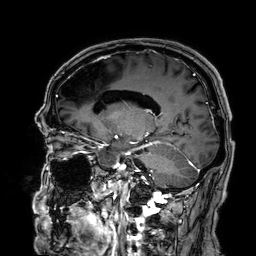
| field | value |
|---|---|
| modality | 3 Tesla brain MRI |
| study | ring-enhancing brain masses |